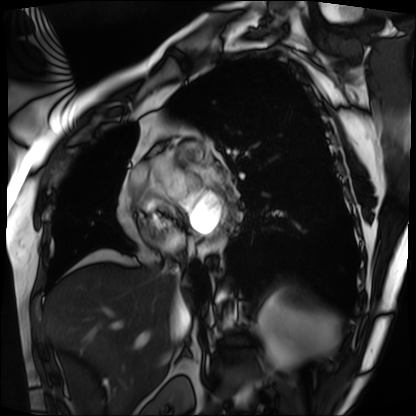
Clinical context: Cardiac MRI. Subject group: patient.